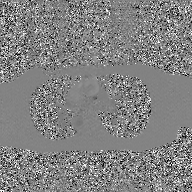
* modality: 2D phase-contrast cine MRI of the ascending aorta, GAN super-resolution reconstruction